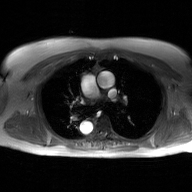
2D phase-contrast cine MRI of the ascending aorta, GAN super-resolution reconstruction.